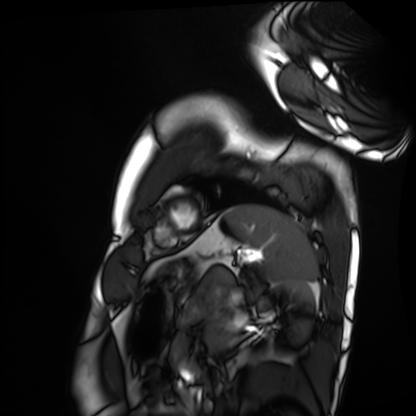
Case summary:
Cardiac MRI. Subject group: healthy volunteer.